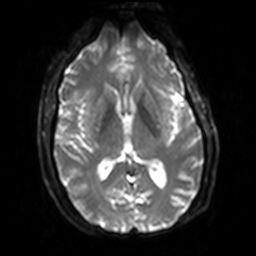
– modality — 3 Tesla brain MRI
– series — diffusion-weighted imaging with SENSE (WIP)
– study — ring-enhancing brain masses